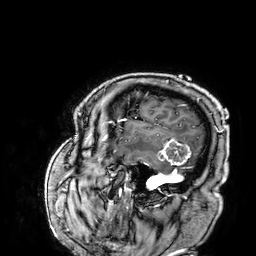
Clinical context: 3 Tesla brain MRI. Series: 3D T1-weighted. Study: ring-enhancing brain masses.